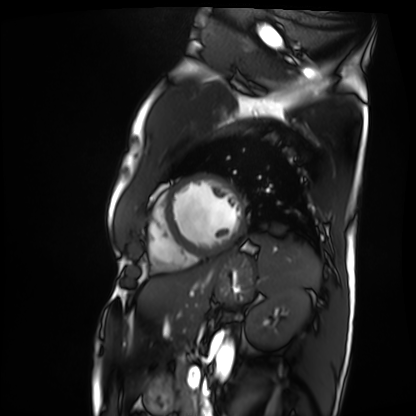
Cardiac MRI.
Subject group: patient.